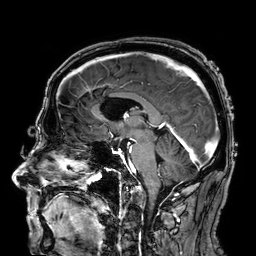
<case>
<modality>
  <type>brain MRI</type>
  <field_strength>3T</field_strength>
</modality>
<series>3D T1-weighted</series>
<study_topic>ring-enhancing brain masses</study_topic>
</case>